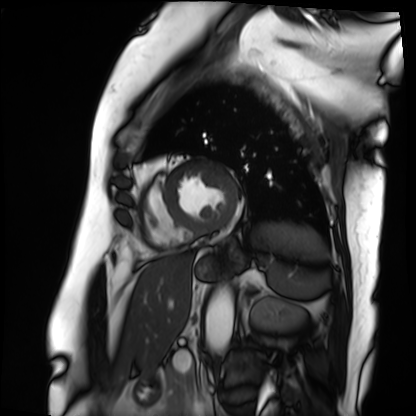
modality: cardiac MRI
cohort: patient